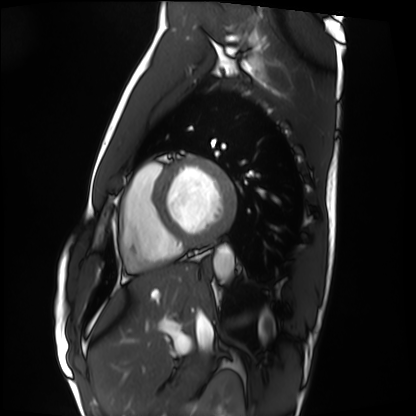
modality: cardiac MRI | subject group: healthy volunteer.